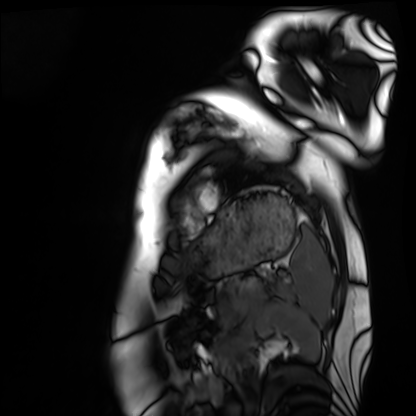
  modality: cardiac MRI
  cohort: healthy volunteer